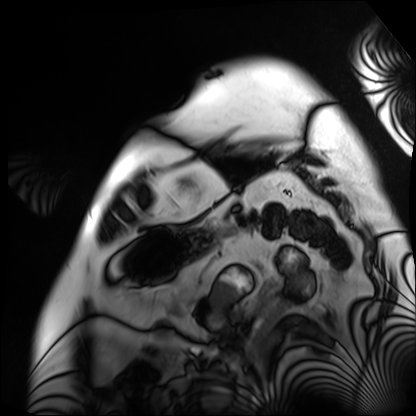
Cardiac MRI. Subject group: patient.